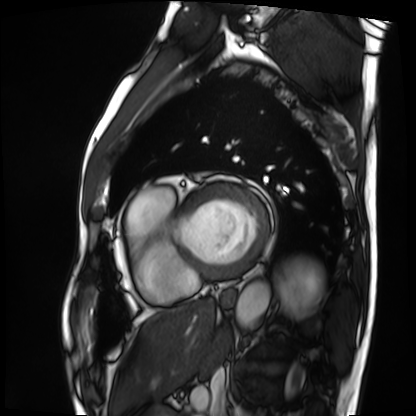
{
  "modality": "cardiac MRI",
  "cohort": "patient"
}